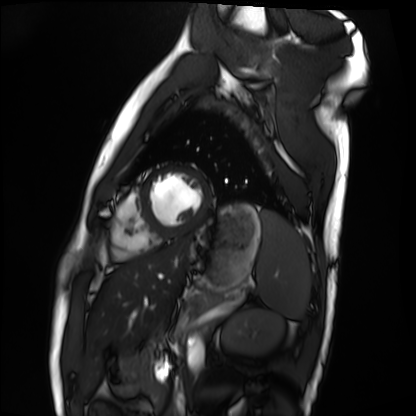
Cardiac MRI. Subject group: healthy volunteer.